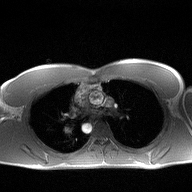
modality: 2D phase-contrast cine MRI of the ascending aorta.